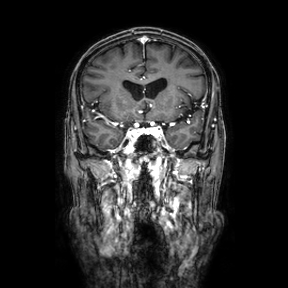
| field | value |
|---|---|
| modality | 3 Tesla brain MRI |
| series | coronal |
| study | ring-enhancing brain masses |